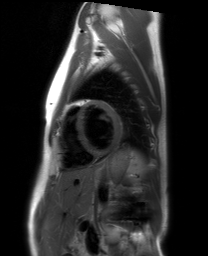
Cardiac MRI. Subject group: healthy volunteer.